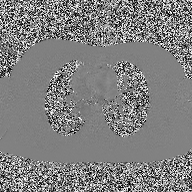
2D phase-contrast cine MRI of the ascending aorta, high-resolution GRAPPA acquisition.